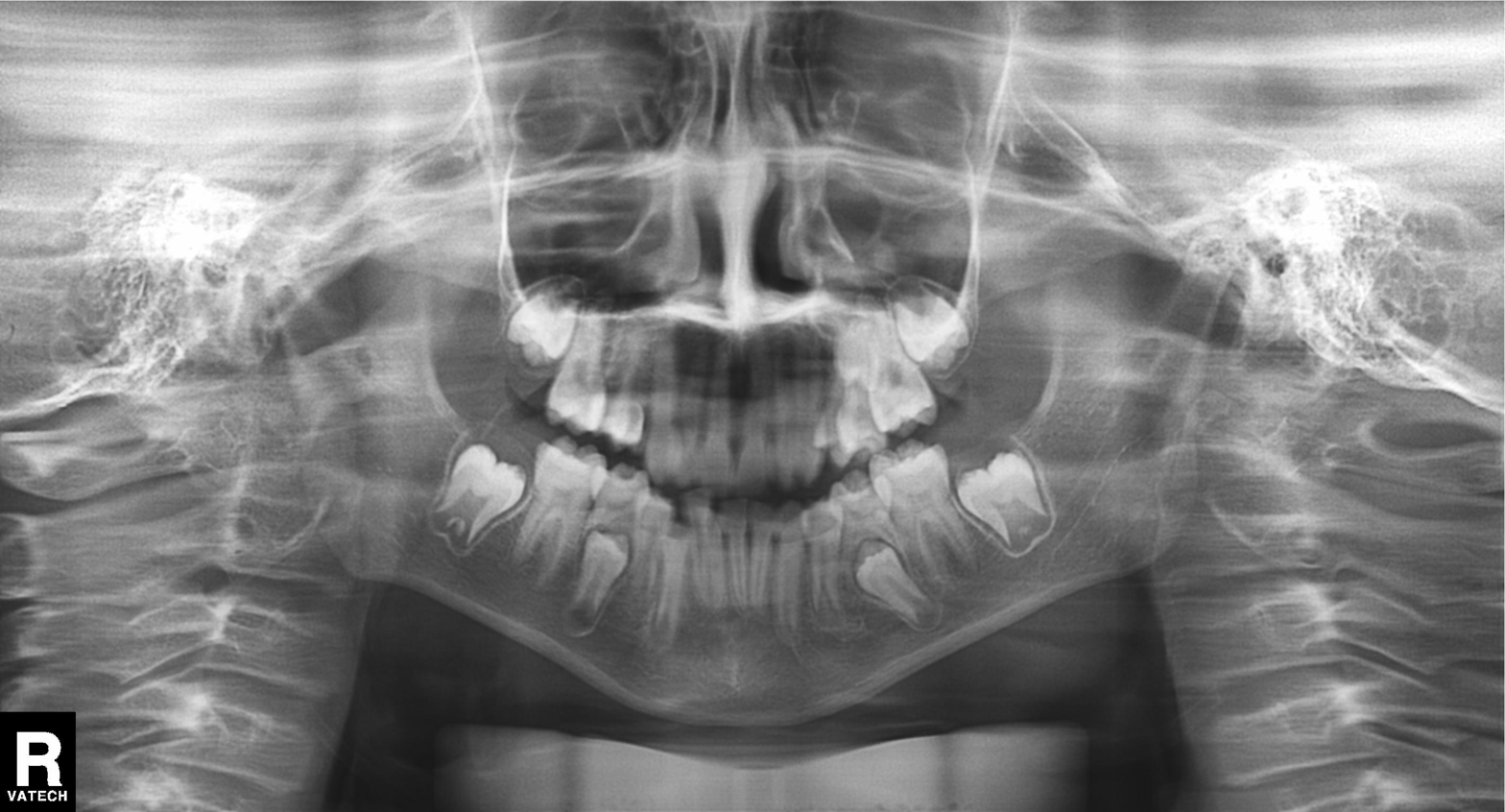
{"modality": "panoramic dental radiograph (orthopantomogram)", "finding": "tooth impaction"}